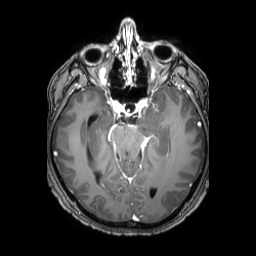
modality: 3 Tesla brain MRI; series: 3D T1-weighted TFE with SENSE; study: ring-enhancing brain masses.